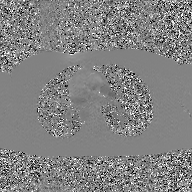
2D phase-contrast cine MRI of the ascending aorta, GAN super-resolution reconstruction.